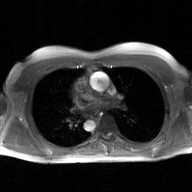
Summary:
2D phase-contrast cine MRI of the ascending aorta, GAN super-resolution reconstruction.